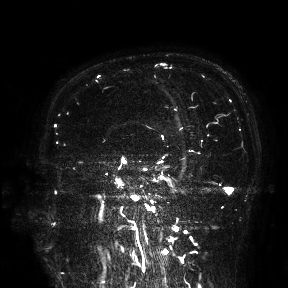
3 Tesla brain MRI. Study: ring-enhancing brain masses.